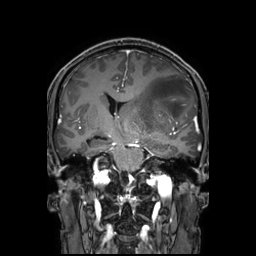
{"modality": {"type": "brain MRI", "field_strength": "3T"}, "series": "3D T1-weighted TFE with SENSE", "study_topic": "ring-enhancing brain masses"}